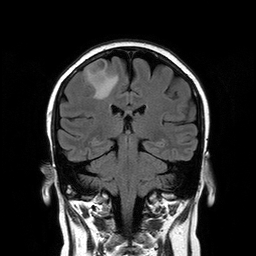
Q: What kind of scan is this?
A: 3 Tesla brain MRI.
Q: Series?
A: T2-weighted FLAIR.
Study: ring-enhancing brain masses.